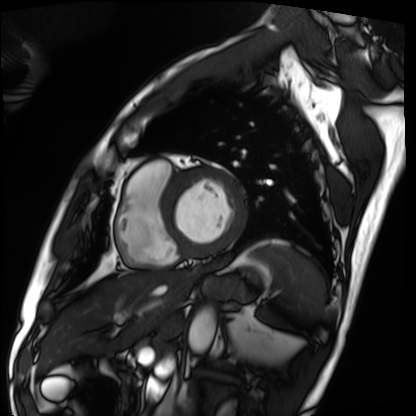
Cardiac MRI. Subject group: patient.